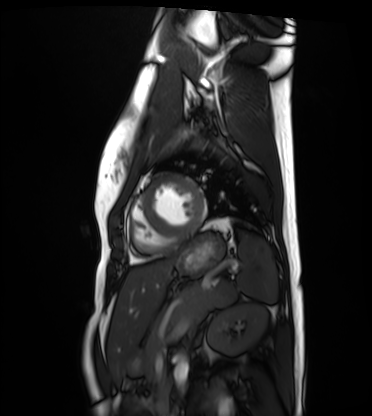
Cardiac MRI.
Subject group: healthy volunteer.